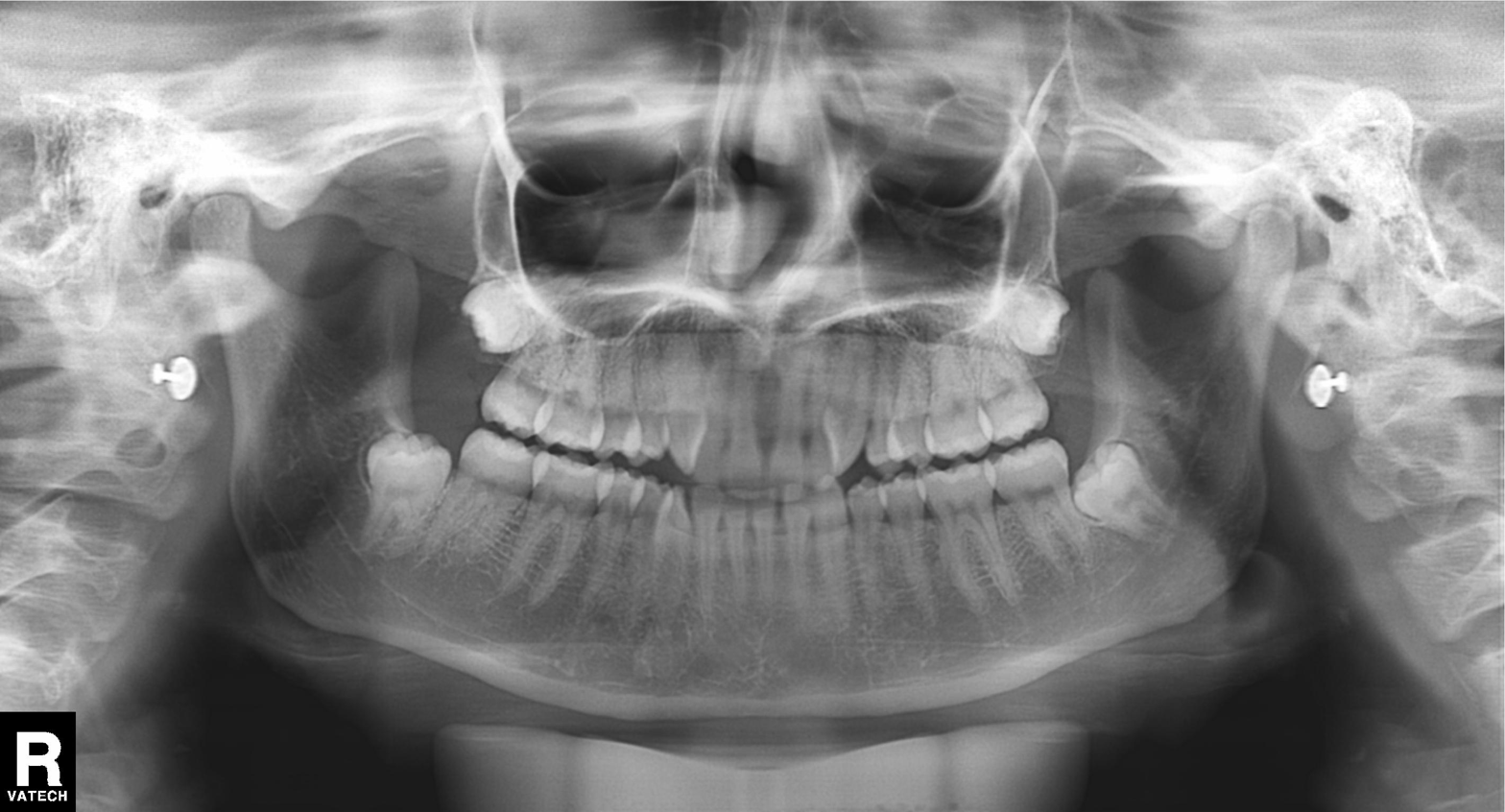
| field | value |
|---|---|
| modality | panoramic dental radiograph (orthopantomogram) |
| finding | tooth impaction |